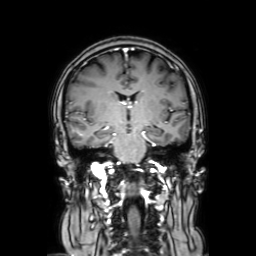
3 Tesla brain MRI. Study: ring-enhancing brain masses.